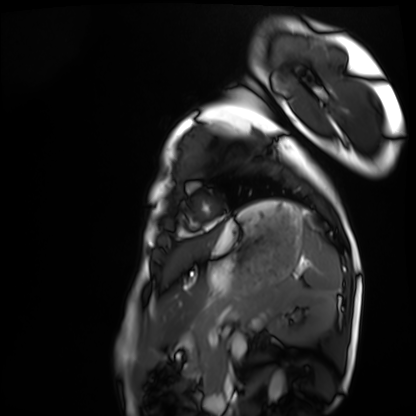
<case>
  <modality>cardiac MRI</modality>
  <cohort>healthy volunteer</cohort>
</case>